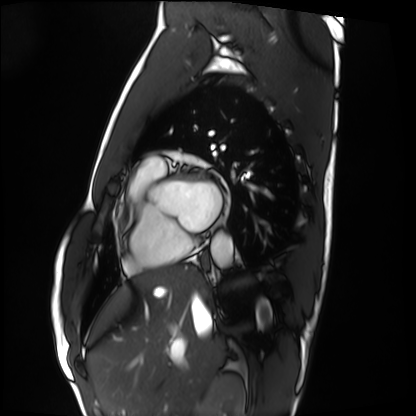
Cardiac MRI.
Subject group: healthy volunteer.